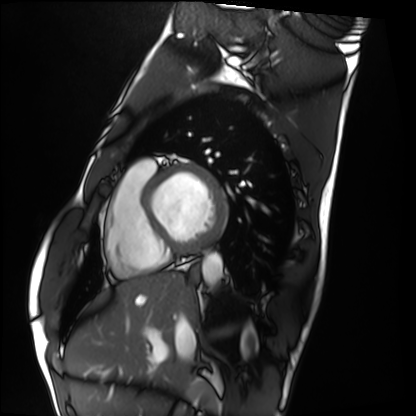
| field | value |
|---|---|
| modality | cardiac MRI |
| subject group | healthy volunteer |